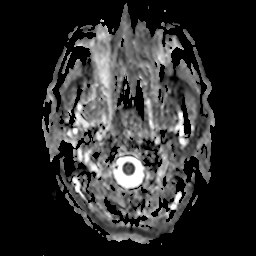
3 Tesla brain MRI.
Series: apparent diffusion coefficient (ADC) map.
Study: ring-enhancing brain masses.